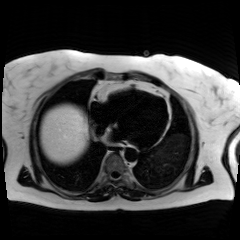
Summary:
Chemical-shift-encoded cardiac MRI.